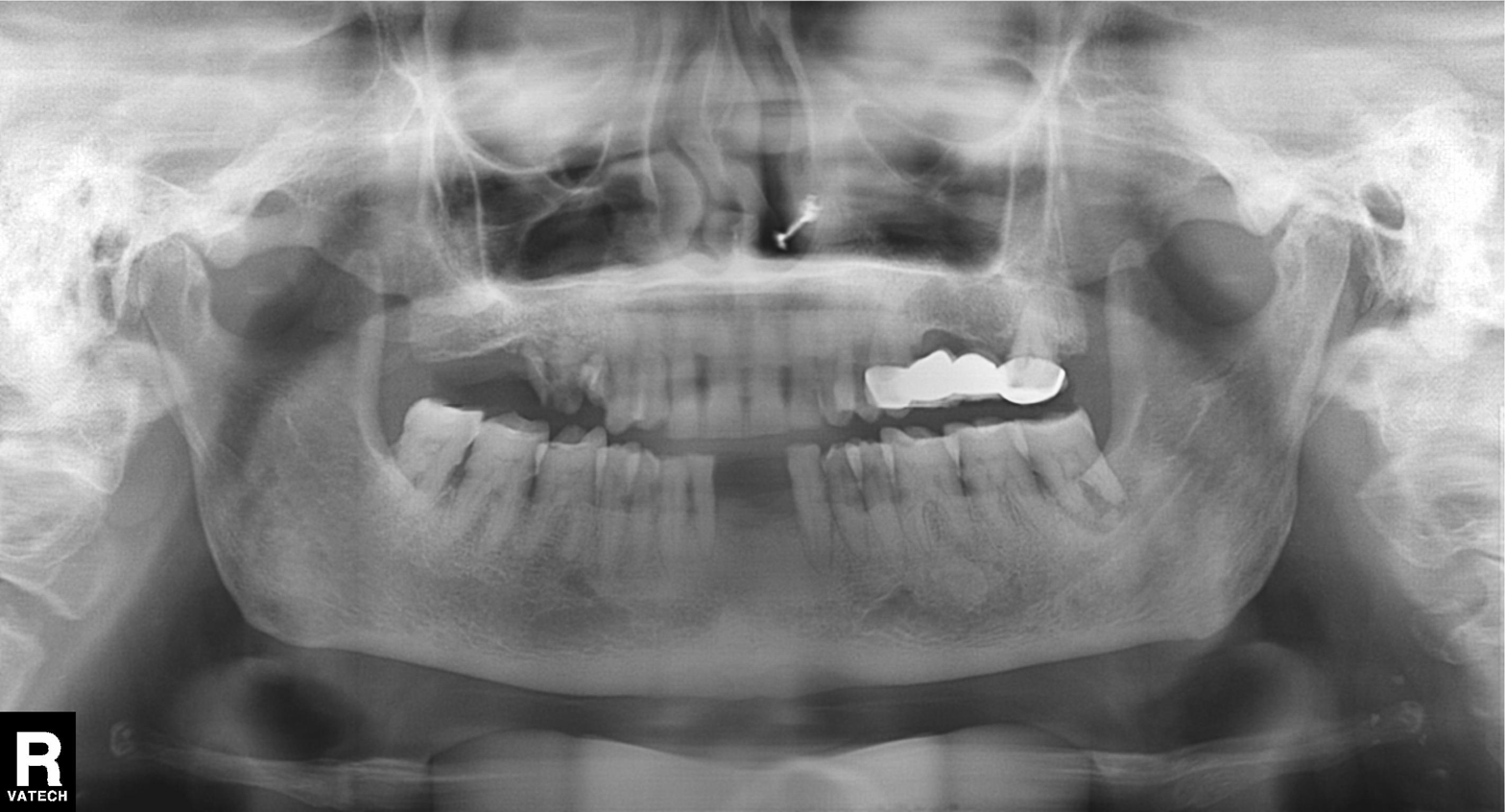
| feature | finding |
|---|---|
| modality | panoramic dental radiograph (orthopantomogram) |
| finding | dental caries (cavities) |